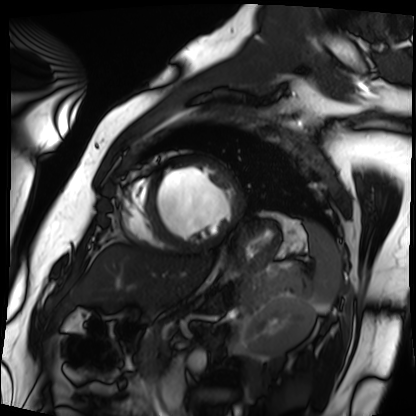
{"modality": "cardiac MRI", "cohort": "patient"}